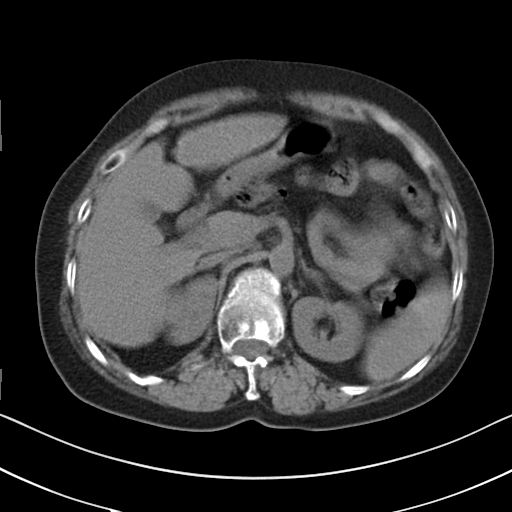
Multiphase abdominal CT, liver, non-contrast phase.
Patient: female, age 58.
History: cirrhosis, viral hepatitis.